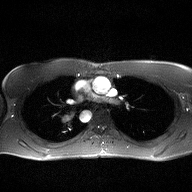
  modality:
    type: 2D phase-contrast cine MRI
    region: ascending aorta
    reconstruction: high-resolution GRAPPA acquisition